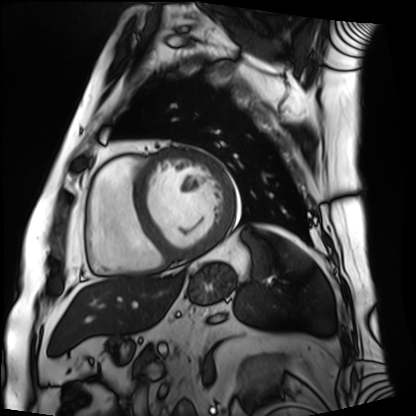
{
  "modality": "cardiac MRI",
  "cohort": "patient"
}